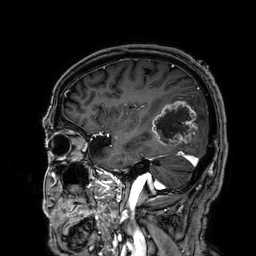
– modality: 3 Tesla brain MRI
– series: 3D T1-weighted
– study: ring-enhancing brain masses